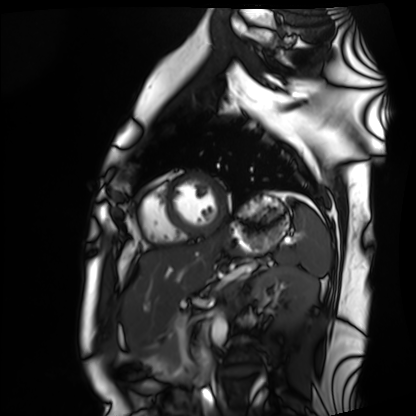
modality: cardiac MRI; subject group: healthy volunteer.